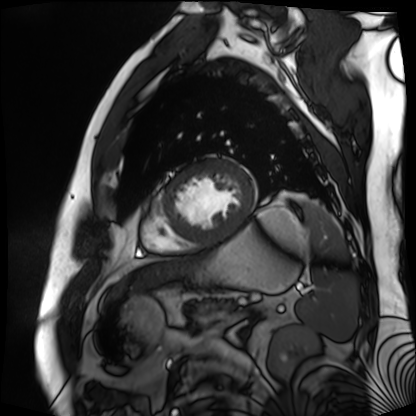
Cardiac MR image of the myocardium. Subject cohort: cardiac patient.